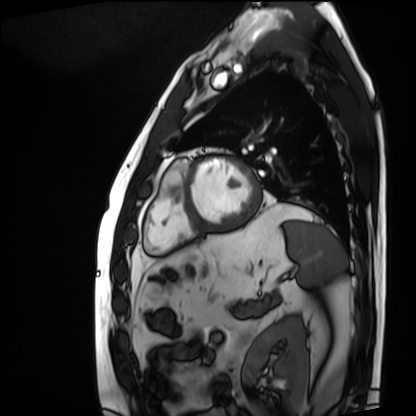
Cardiac MRI.
Subject group: patient.